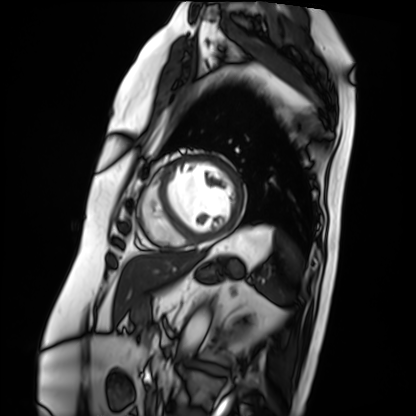
• modality: cardiac MRI
• subject group: patient